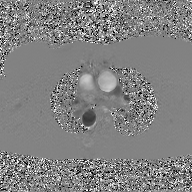
<case>
<modality>
  <type>2D phase-contrast cine MRI</type>
  <region>ascending aorta</region>
  <reconstruction>GAN super-resolution reconstruction</reconstruction>
</modality>
</case>